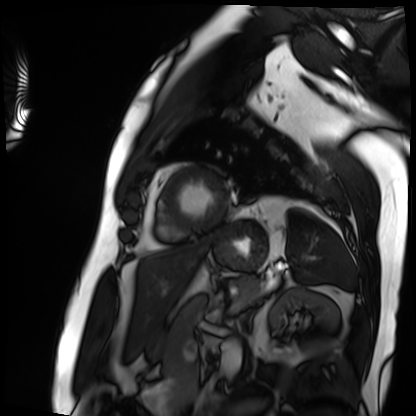
Cardiac MRI. Subject group: patient.